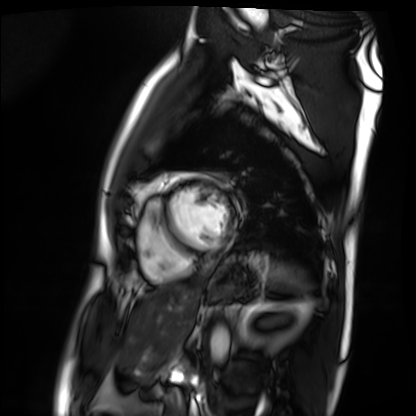
modality: cardiac MRI | subject group: patient.